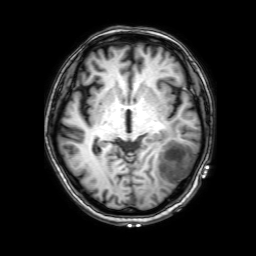
3 Tesla brain MRI. Series: 3D T1-weighted with SENSE. Study: ring-enhancing brain masses.